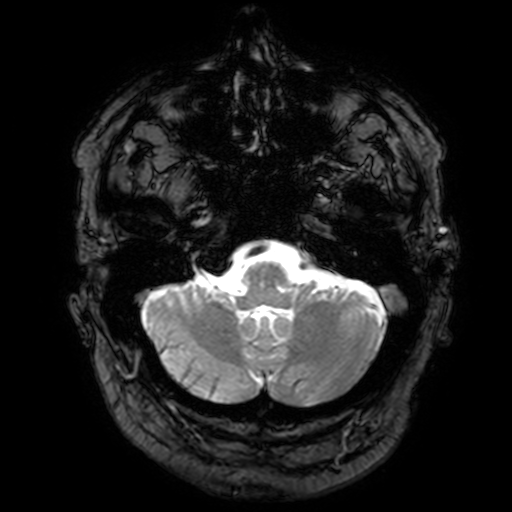
Q: What kind of scan is this?
A: 3 Tesla brain MRI.
Q: Series?
A: T2-weighted fast field echo with SENSE.
Study: ring-enhancing brain masses.